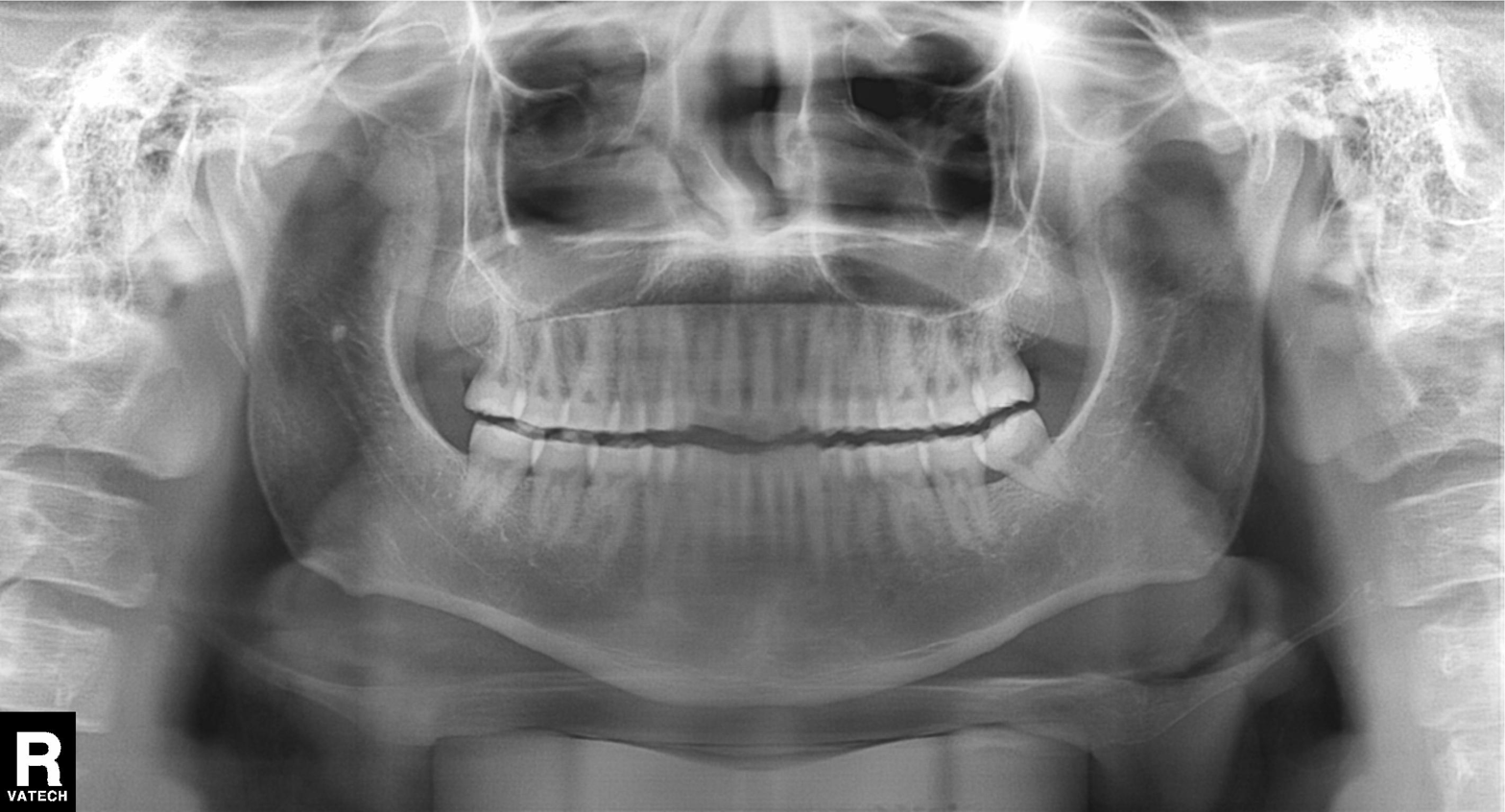
Panoramic dental radiograph (orthopantomogram). Finding: dental caries (cavities).